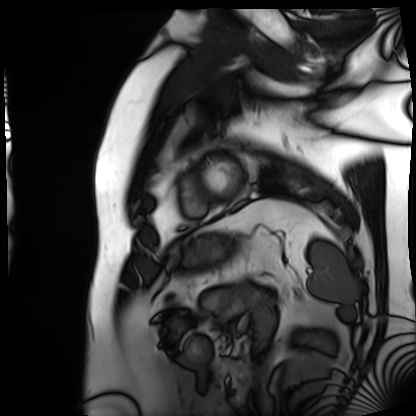
{
  "modality": "cardiac MRI",
  "cohort": "patient"
}